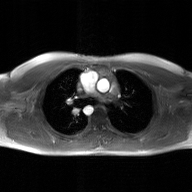
<record>
  <modality>
    <type>2D phase-contrast cine MRI</type>
    <region>ascending aorta</region>
    <reconstruction>GAN super-resolution reconstruction</reconstruction>
  </modality>
</record>